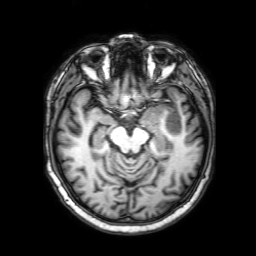
* modality · 3 Tesla brain MRI
* series · 3D T1-weighted with SENSE
* study · ring-enhancing brain masses